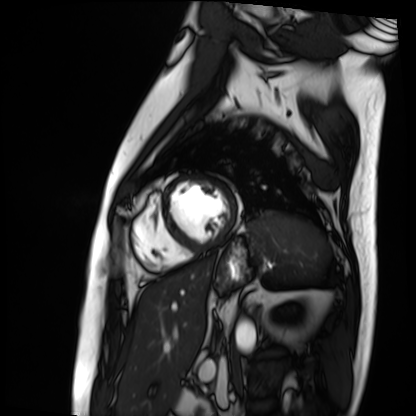
{"modality": "cardiac MRI", "cohort": "patient"}